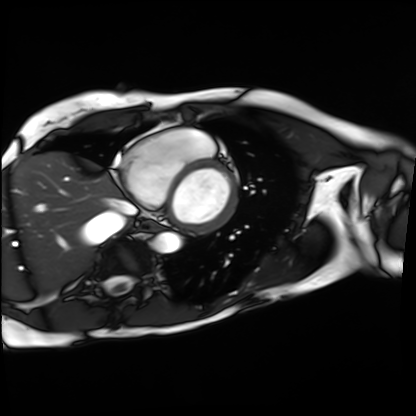
Summary:
Cardiac MRI. Subject group: patient.